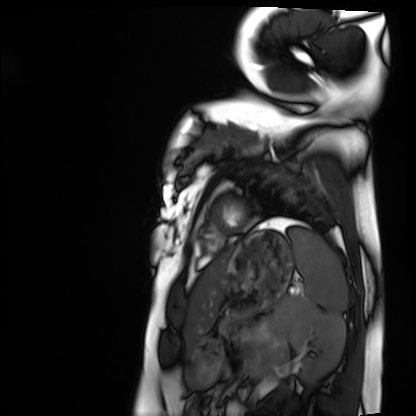
modality=cardiac MRI; subject group=healthy volunteer.